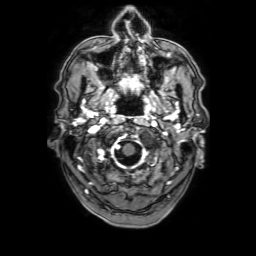
• modality: 3 Tesla brain MRI
• series: 3D T1-weighted with SENSE
• study: ring-enhancing brain masses